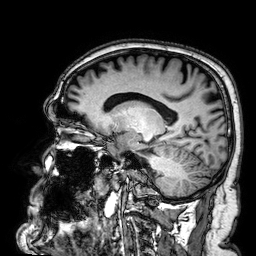
Summary:
3 Tesla brain MRI. Series: 3D T1-weighted. Study: ring-enhancing brain masses.